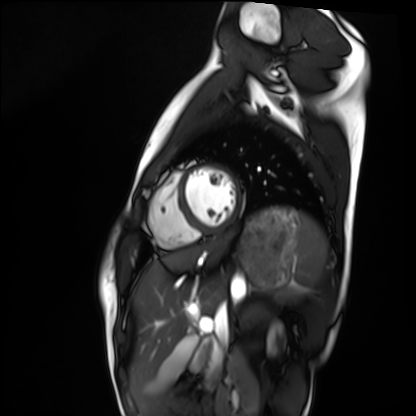
Cardiac MRI. Subject group: healthy volunteer.